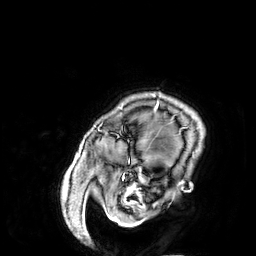
modality = 3 Tesla brain MRI
series = 3D T1-weighted
study = ring-enhancing brain masses